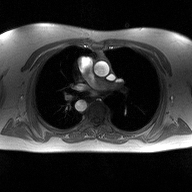
  modality:
    type: 2D phase-contrast cine MRI
    region: ascending aorta
    reconstruction: high-resolution GRAPPA acquisition